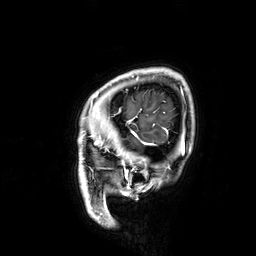
3 Tesla brain MRI. Series: 3D T1-weighted. Study: ring-enhancing brain masses.